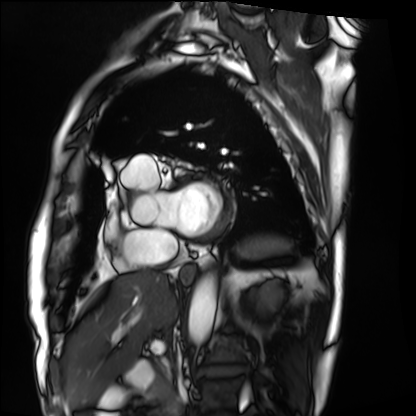
modality: cardiac MRI
cohort: patient